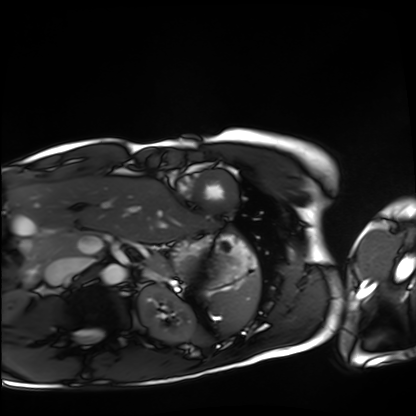
Cardiac MRI. Subject group: healthy volunteer.